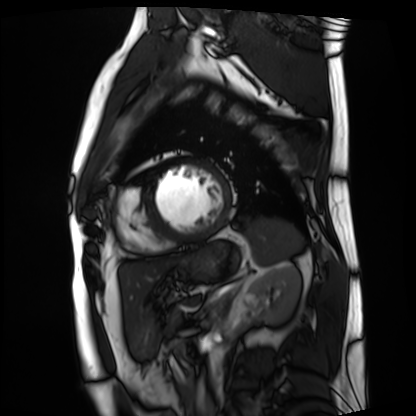
<case>
<modality>cardiac MRI</modality>
<cohort>patient</cohort>
</case>